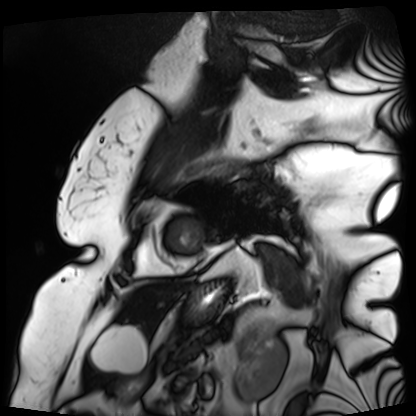
Q: What kind of scan is this?
A: Cardiac MRI.
Subject group: patient.